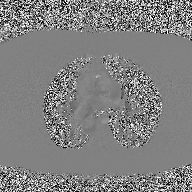
{
  "modality": {
    "type": "2D phase-contrast cine MRI",
    "region": "ascending aorta",
    "reconstruction": "high-resolution GRAPPA acquisition"
  }
}